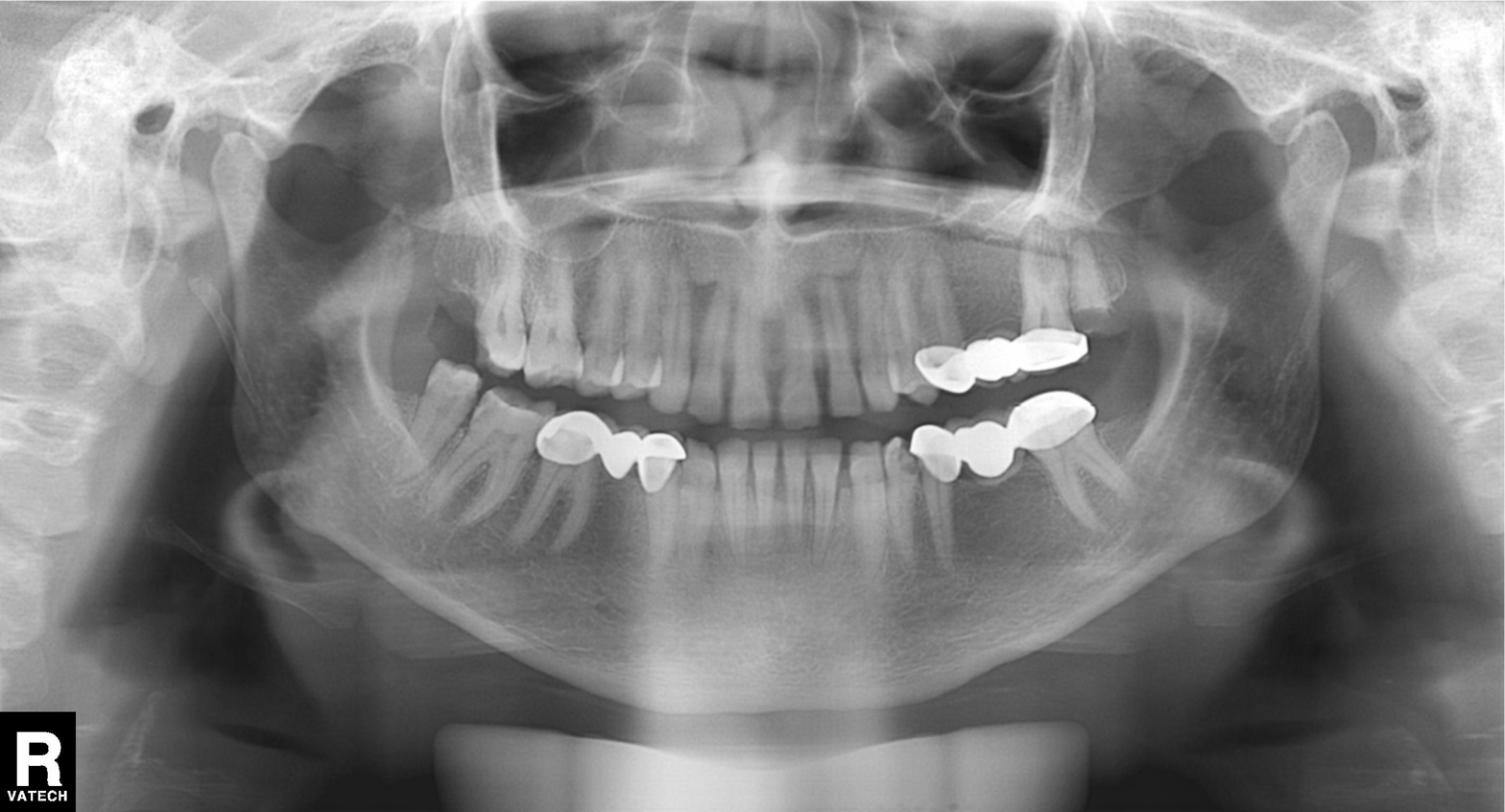
| feature | finding |
|---|---|
| modality | panoramic dental radiograph (orthopantomogram) |
| finding | dental caries (cavities) |